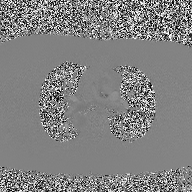
2D phase-contrast cine MRI of the ascending aorta, high-resolution GRAPPA acquisition.